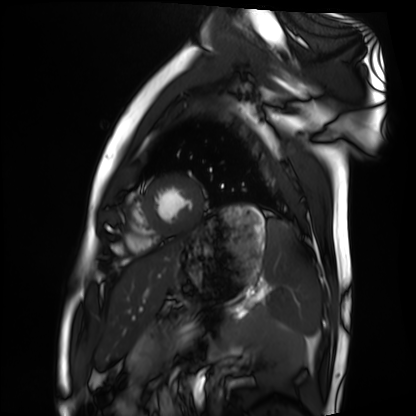
  modality: cardiac MRI
  cohort: healthy volunteer